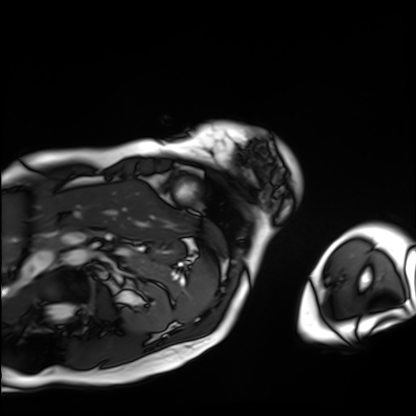
modality=cardiac MRI | subject group=patient.